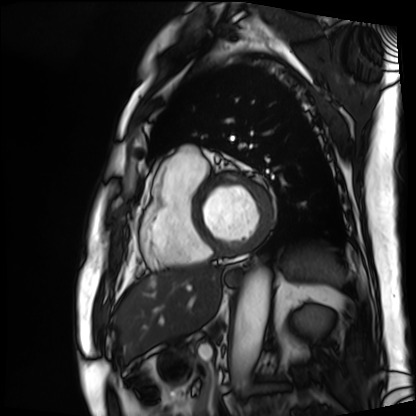
Cardiac MRI. Subject group: patient.